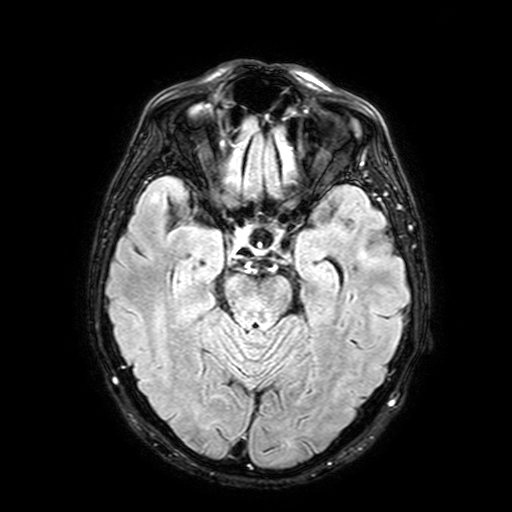
modality = 3 Tesla brain MRI | series = FLAIR with SPAIR, 3 mm | study = ring-enhancing brain masses.